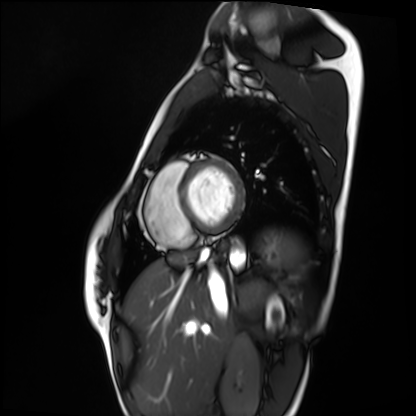
Summary:
Cardiac MRI. Subject group: healthy volunteer.